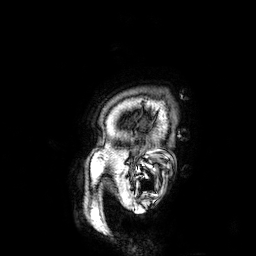
modality:
  type: brain MRI
  field_strength: 3T
series: 3D T1-weighted
study_topic: ring-enhancing brain masses